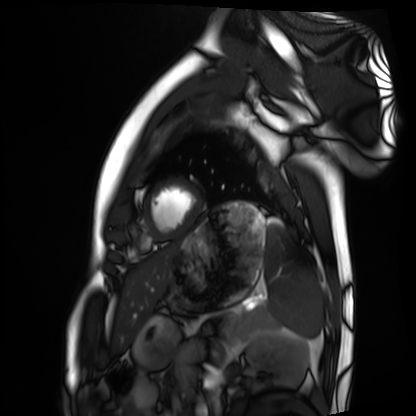
  modality: cardiac MRI
  cohort: healthy volunteer